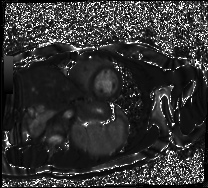
Case:
* modality: cardiac MR image of the myocardium
* subject cohort: healthy volunteer